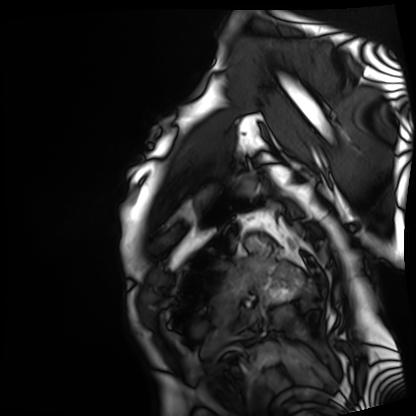
– modality · cardiac MRI
– subject group · patient